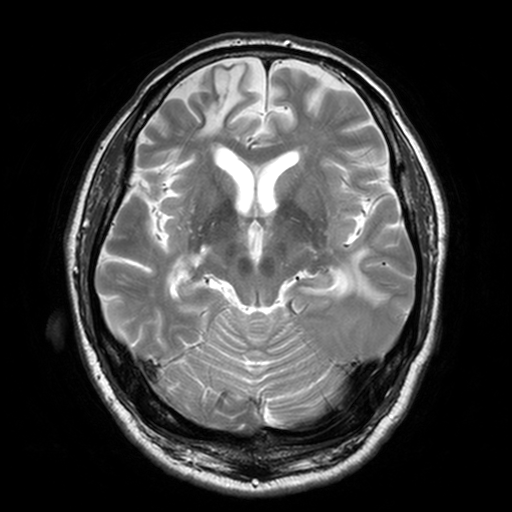
3 Tesla brain MRI. Series: T2-weighted turbo spin echo, 3 mm. Study: ring-enhancing brain masses.